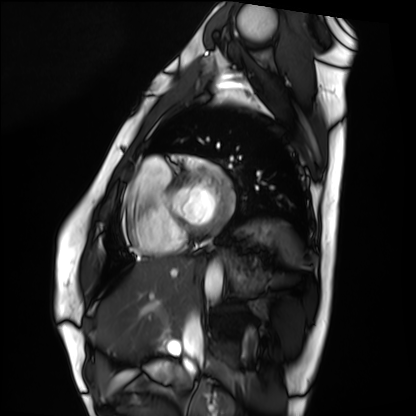
Cardiac MRI.
Subject group: healthy volunteer.